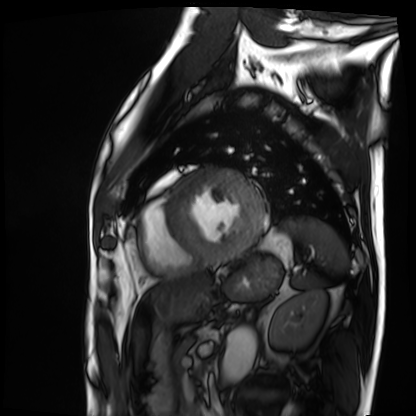
• modality: cardiac MRI
• subject group: patient